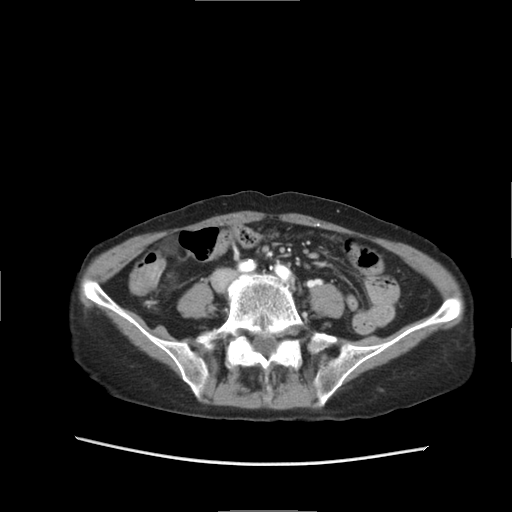
{"modality": {"type": "multiphase abdominal CT", "region": "liver", "phase": "arterial"}, "patient": {"sex": "female", "age": 68}}